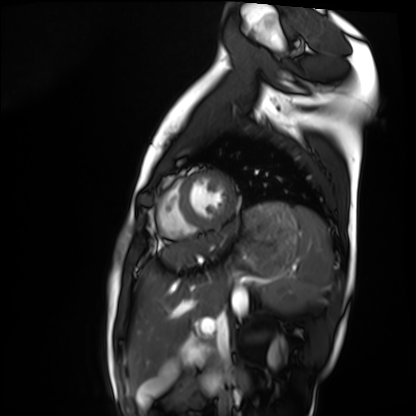
Summary: Cardiac MRI. Subject group: healthy volunteer.